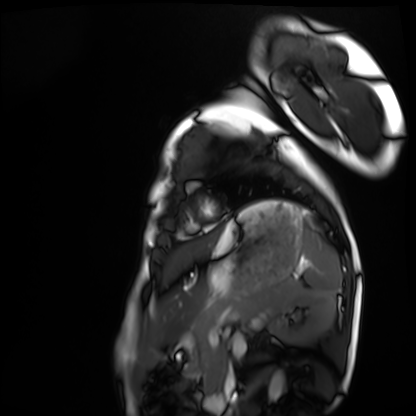
modality: cardiac MRI, subject group: healthy volunteer.